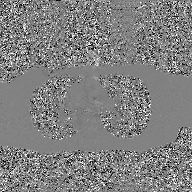
modality = 2D phase-contrast cine MRI of the ascending aorta, GAN super-resolution reconstruction